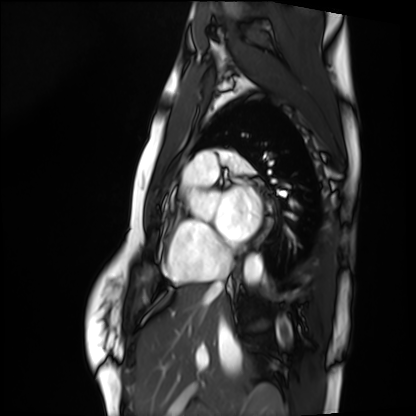
Summary:
Cardiac MRI. Subject group: healthy volunteer.